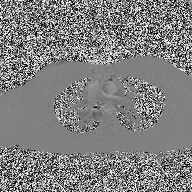
2D phase-contrast cine MRI of the ascending aorta, high-resolution GRAPPA acquisition.